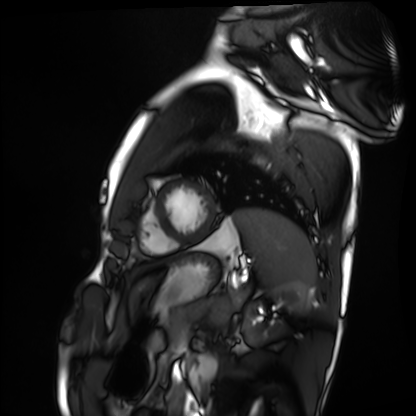
Q: What kind of scan is this?
A: Cardiac MRI.
Subject group: healthy volunteer.